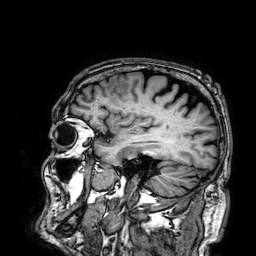
Q: What kind of scan is this?
A: 3 Tesla brain MRI.
Q: Series?
A: 3D T1-weighted.
Study: ring-enhancing brain masses.